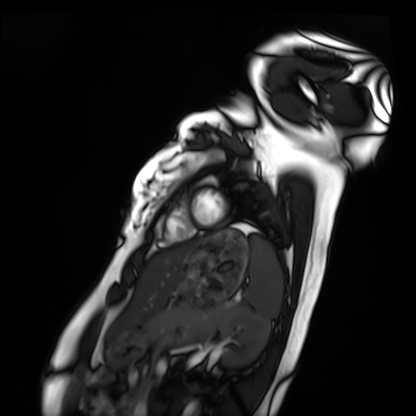
Cardiac MRI. Subject group: healthy volunteer.